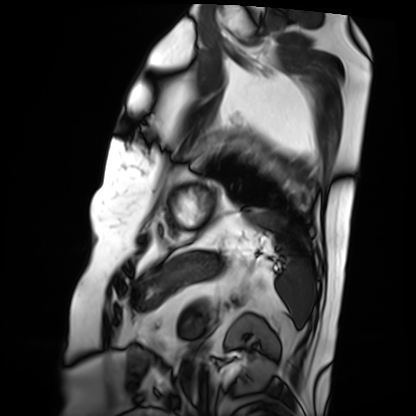
Cardiac MRI. Subject group: patient.